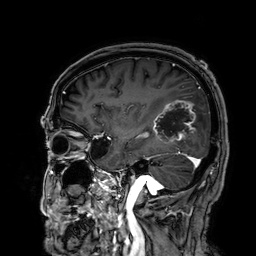
3 Tesla brain MRI. Series: 3D T1-weighted. Study: ring-enhancing brain masses.